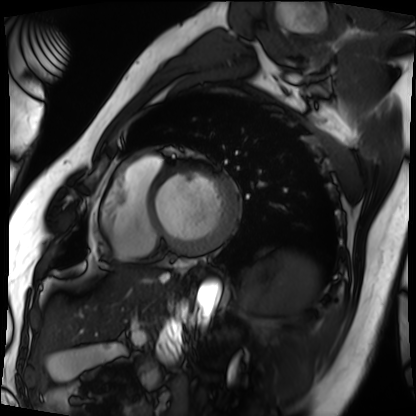
Summary:
Cardiac MRI. Subject group: patient.